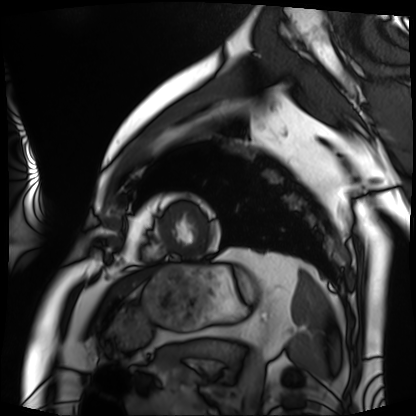
modality — cardiac MRI | subject group — patient.